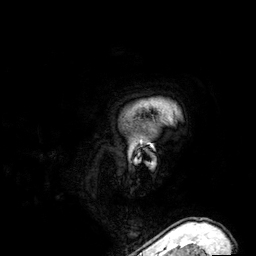
Q: What kind of scan is this?
A: 3 Tesla brain MRI.
Q: Series?
A: 3D T1-weighted.
Study: ring-enhancing brain masses.